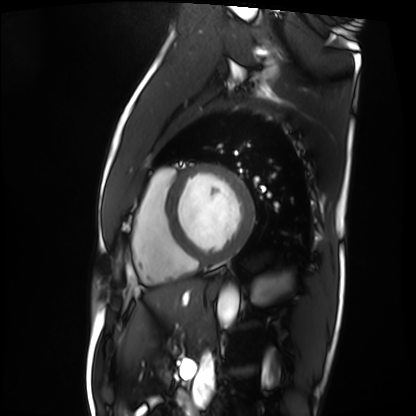
Q: What kind of scan is this?
A: Cardiac MRI.
Subject group: patient.